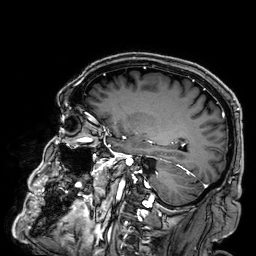
modality:
  type: brain MRI
  field_strength: 3T
series: 3D T1-weighted
study_topic: ring-enhancing brain masses